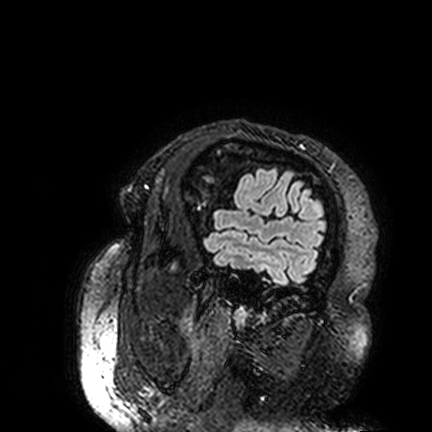
Case summary: 3 Tesla brain MRI. Series: FLAIR VISTA. Study: ring-enhancing brain masses.